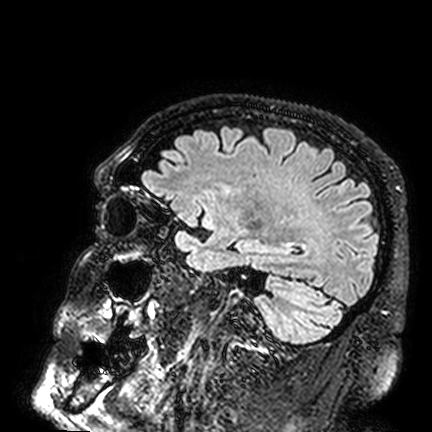
modality=3 Tesla brain MRI; series=FLAIR VISTA; study=ring-enhancing brain masses.